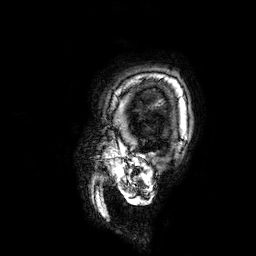
3 Tesla brain MRI. Series: 3D T1-weighted. Study: ring-enhancing brain masses.